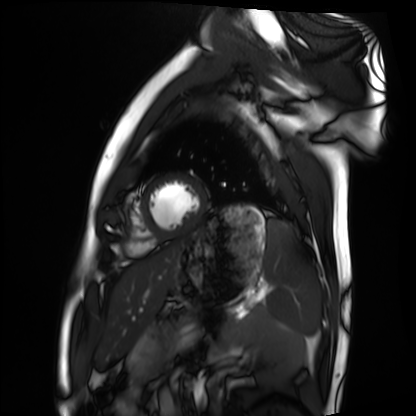
Case:
- modality: cardiac MRI
- subject group: healthy volunteer